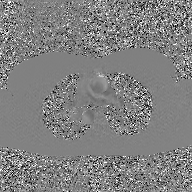
2D phase-contrast cine MRI of the ascending aorta, GAN super-resolution reconstruction.